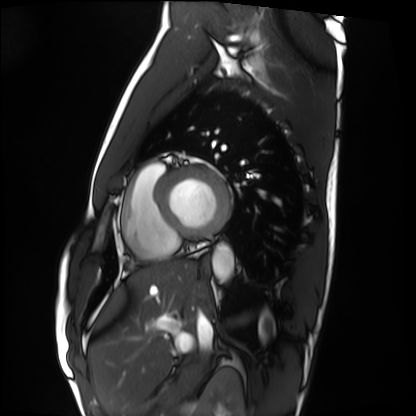
Cardiac MRI. Subject group: healthy volunteer.